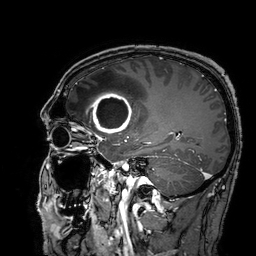
3 Tesla brain MRI.
Series: 3D T1-weighted turbo field echo with SENSE.
Study: ring-enhancing brain masses.